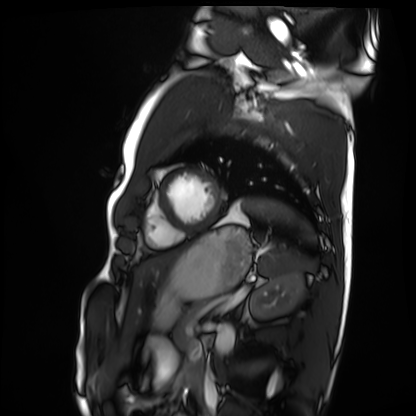
- modality: cardiac MRI
- subject group: healthy volunteer